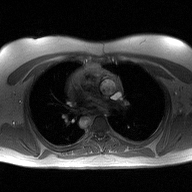
Case:
- modality · 2D phase-contrast cine MRI of the ascending aorta